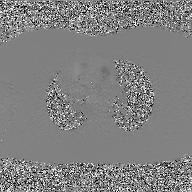
2D phase-contrast cine MRI of the ascending aorta, GAN super-resolution reconstruction.